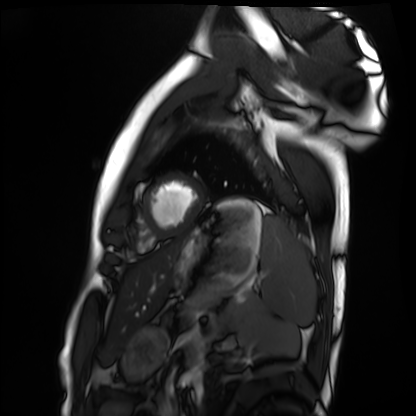
Cardiac MRI.
Subject group: healthy volunteer.